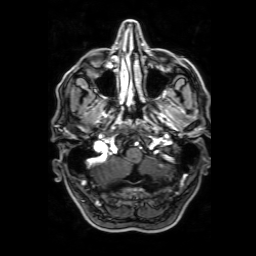
modality: 3 Tesla brain MRI | series: 3D T1-weighted with SENSE | study: ring-enhancing brain masses.